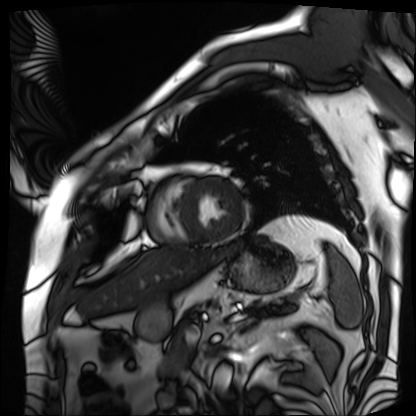
Summary:
Cardiac MRI. Subject group: patient.